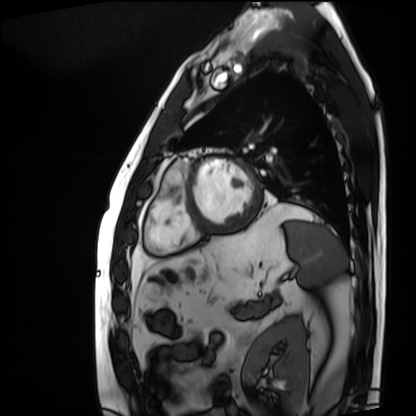
Cardiac MRI. Subject group: patient.